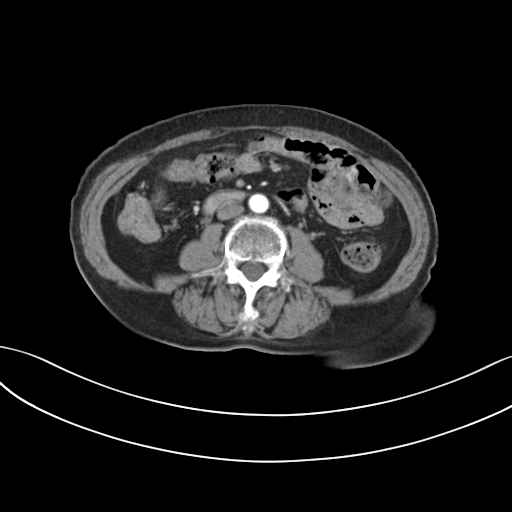
Clinical context:
Multiphase abdominal CT, liver, arterial phase. Patient: female, age 68. History: prior chemotherapy.